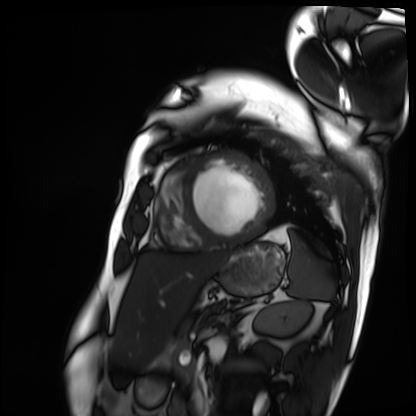
• modality · cardiac MRI
• subject group · patient